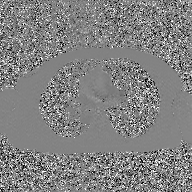
Q: What kind of scan is this?
A: 2D phase-contrast cine MRI of the ascending aorta, GAN super-resolution reconstruction.